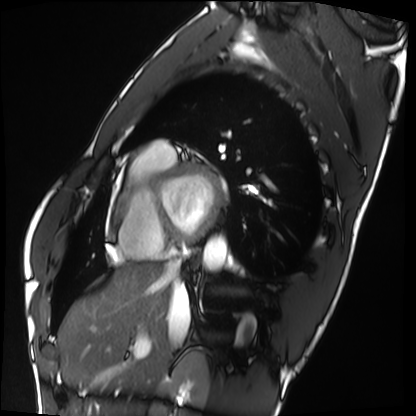
{
  "modality": "cardiac MRI",
  "cohort": "healthy volunteer"
}